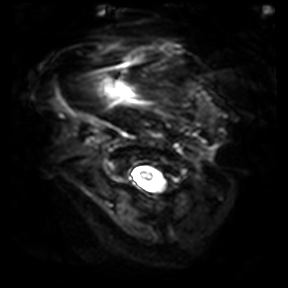
3 Tesla brain MRI.
Series: diffusion-weighted imaging.
Study: ring-enhancing brain masses.